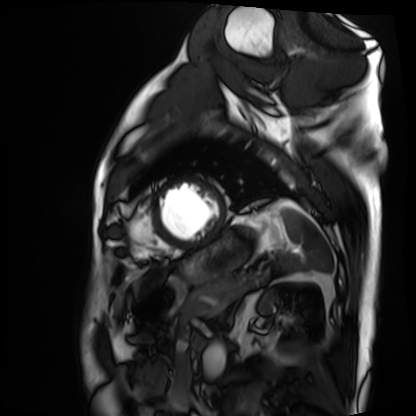
Cardiac MRI.
Subject group: patient.